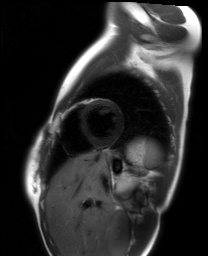
Cardiac MRI. Subject group: healthy volunteer.